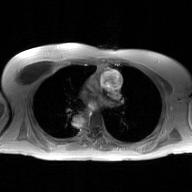
2D phase-contrast cine MRI of the ascending aorta, GAN super-resolution reconstruction.